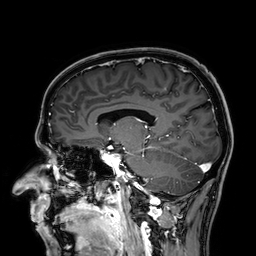
Q: What kind of scan is this?
A: 3 Tesla brain MRI.
Q: Series?
A: 3D T1-weighted.
Study: ring-enhancing brain masses.